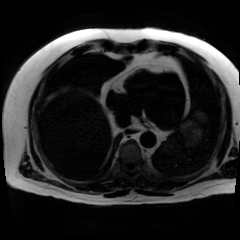
<record>
<modality>chemical-shift-encoded cardiac MRI</modality>
</record>